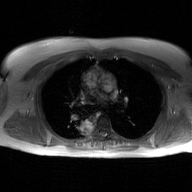
2D phase-contrast cine MRI of the ascending aorta, GAN super-resolution reconstruction.